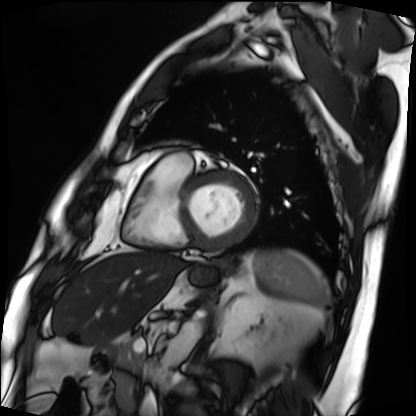
* modality: cardiac MRI
* subject group: patient